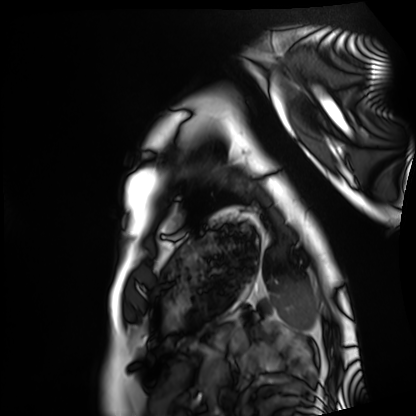
modality: cardiac MRI | subject group: healthy volunteer.